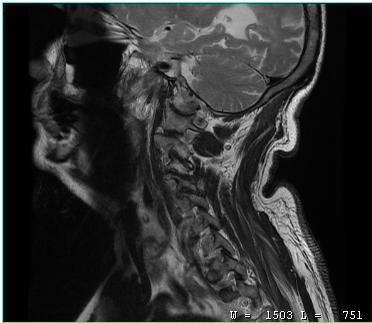
| field | value |
|---|---|
| modality | MRI of the cervical spine |
| study | cervical spondylosis |